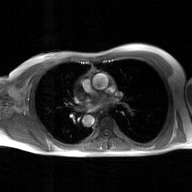
  modality:
    type: 2D phase-contrast cine MRI
    region: ascending aorta
    reconstruction: GAN super-resolution reconstruction